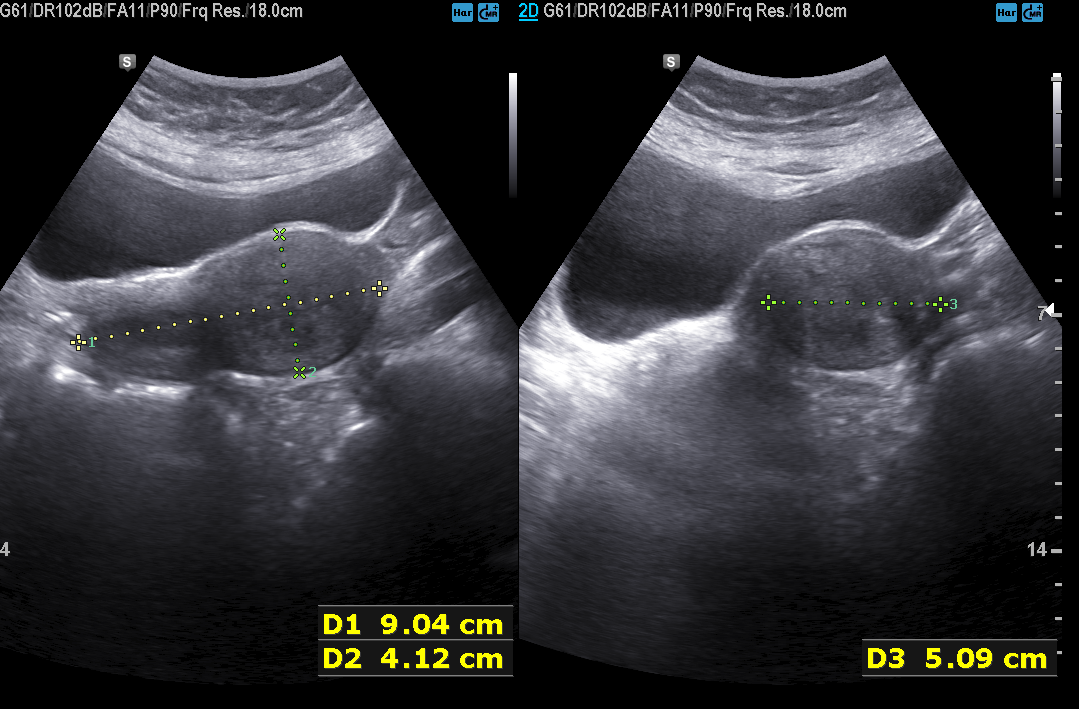
| field | value |
|---|---|
| modality | genitourinary ultrasound |